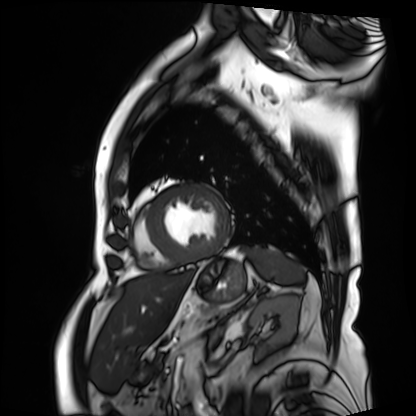
• modality: cardiac MRI
• subject group: patient